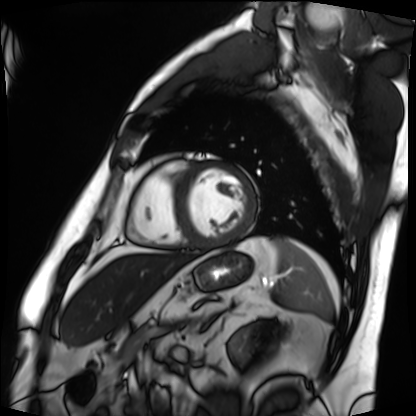
Summary:
Cardiac MRI. Subject group: patient.